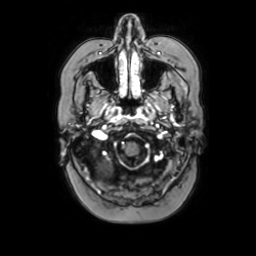
3 Tesla brain MRI.
Series: axial with contrast.
Study: ring-enhancing brain masses.